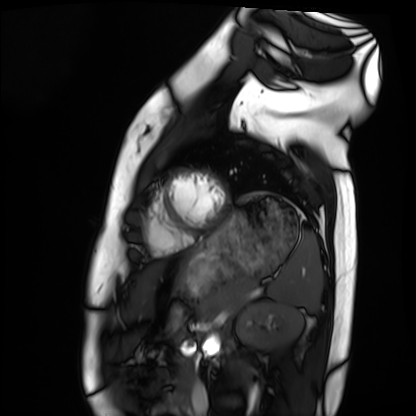
  modality: cardiac MRI
  cohort: healthy volunteer